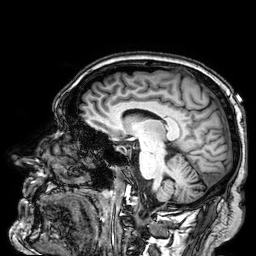
3 Tesla brain MRI.
Series: 3D T1-weighted.
Study: ring-enhancing brain masses.